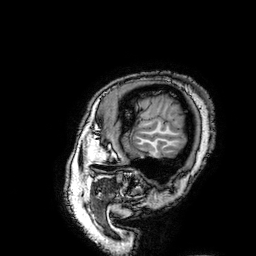
{"modality": {"type": "brain MRI", "field_strength": "3T"}, "series": "3D T1-weighted turbo field echo with SENSE", "study_topic": "ring-enhancing brain masses"}